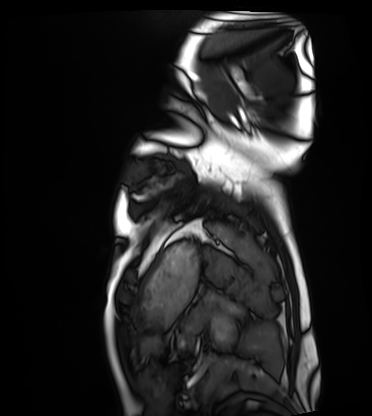
modality — cardiac MRI; subject group — healthy volunteer.